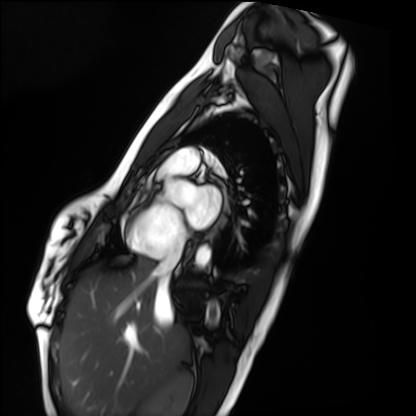
Summary: Cardiac MRI. Subject group: healthy volunteer.